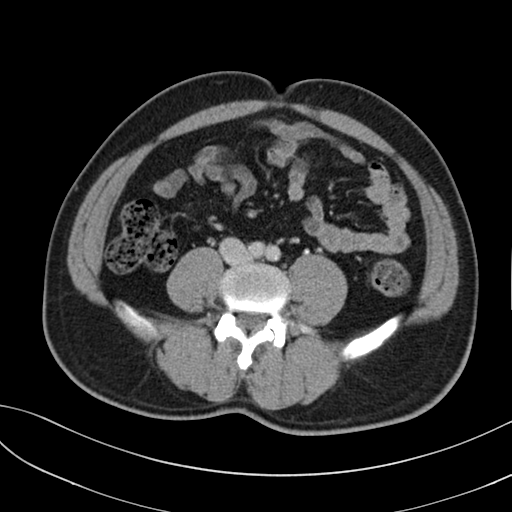
Multiphase abdominal CT, liver, delayed phase. Patient: male, age 40. History: prior chemotherapy.